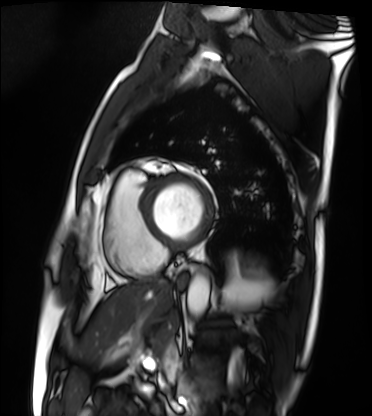
modality = cardiac MRI, subject group = patient.